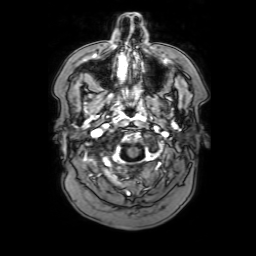
3 Tesla brain MRI. Series: 3D T1-weighted with SENSE. Study: ring-enhancing brain masses.